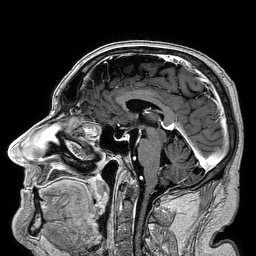
modality: 3 Tesla brain MRI | series: 3D T1-weighted turbo field echo | study: ring-enhancing brain masses.